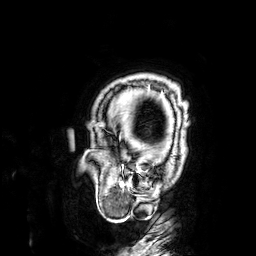
<record>
<modality>
  <type>brain MRI</type>
  <field_strength>3T</field_strength>
</modality>
<series>3D T1-weighted</series>
<study_topic>ring-enhancing brain masses</study_topic>
</record>